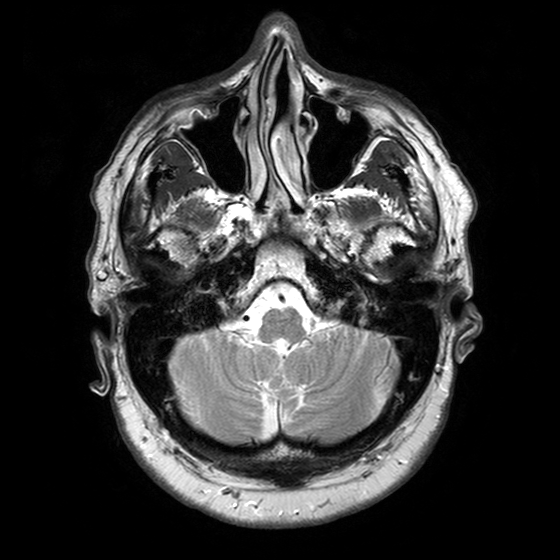
3 Tesla brain MRI.
Series: T2-weighted turbo spin echo with SENSE.
Study: ring-enhancing brain masses.